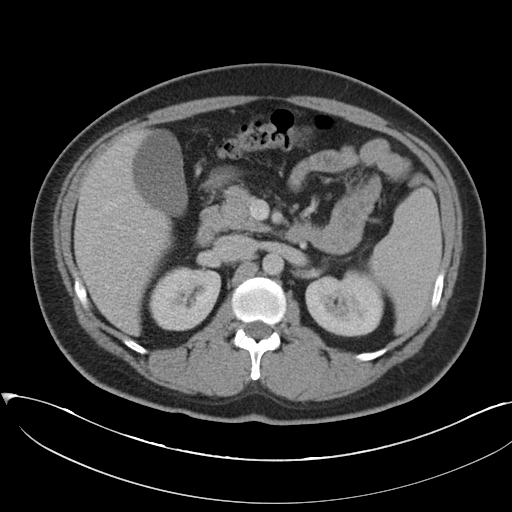
{
  "modality": {
    "type": "multiphase abdominal CT",
    "region": "liver",
    "phase": "portal venous"
  }
}